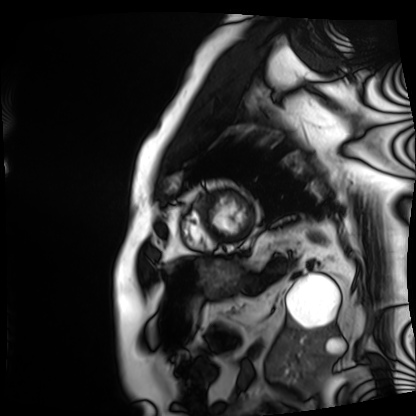
Case summary: Cardiac MRI. Subject group: patient.